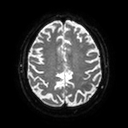
Summary: 3 Tesla brain MRI. Series: diffusion tensor imaging (medium iso). Study: ring-enhancing brain masses.